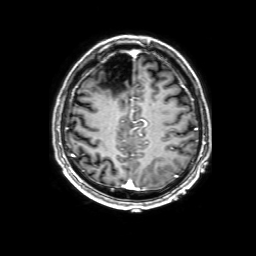
modality = 3 Tesla brain MRI | series = 3D T1-weighted with SENSE | study = ring-enhancing brain masses.